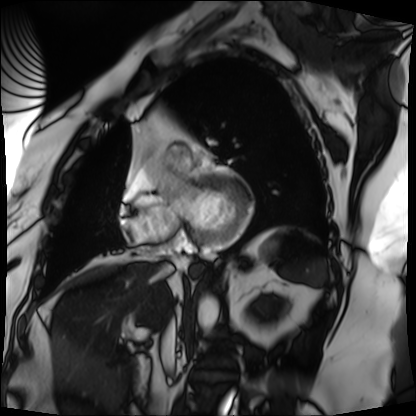
Summary:
Cardiac MRI. Subject group: patient.